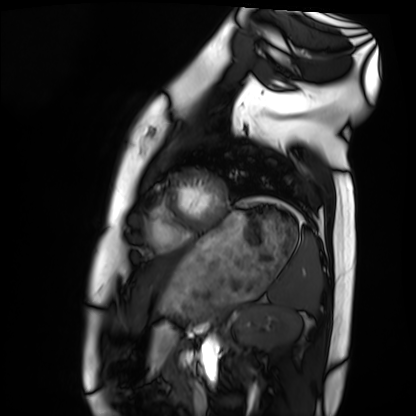
Q: What kind of scan is this?
A: Cardiac MRI.
Subject group: healthy volunteer.